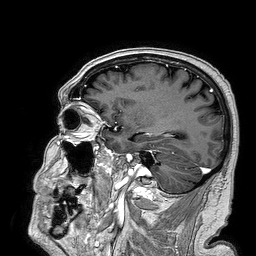
3 Tesla brain MRI. Series: 3D T1-weighted turbo field echo. Study: ring-enhancing brain masses.